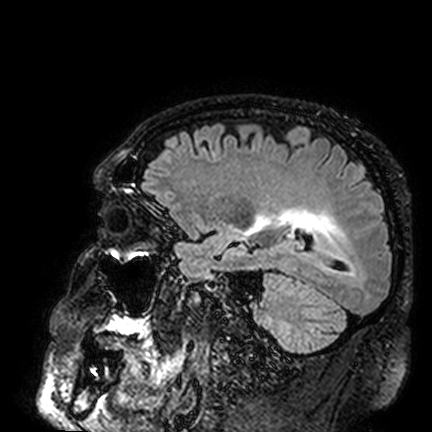
- modality · 3 Tesla brain MRI
- study · ring-enhancing brain masses